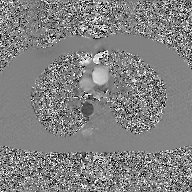
2D phase-contrast cine MRI of the ascending aorta, GAN super-resolution reconstruction.